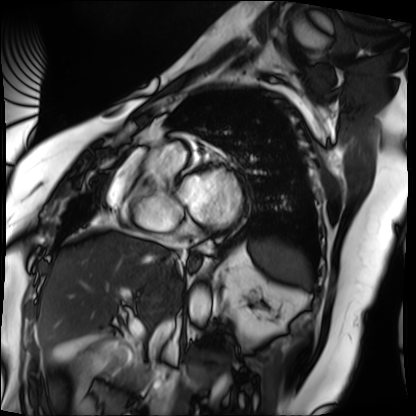
Cardiac MRI. Subject group: patient.